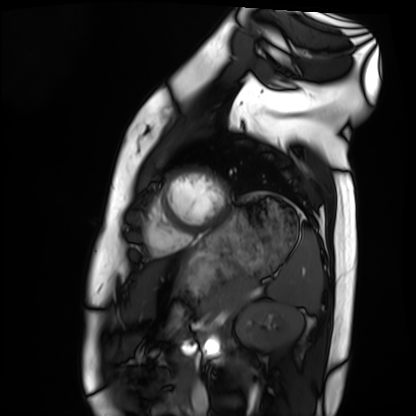
Cardiac MRI. Subject group: healthy volunteer.